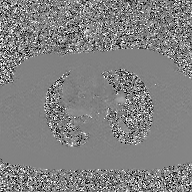
2D phase-contrast cine MRI of the ascending aorta, GAN super-resolution reconstruction.